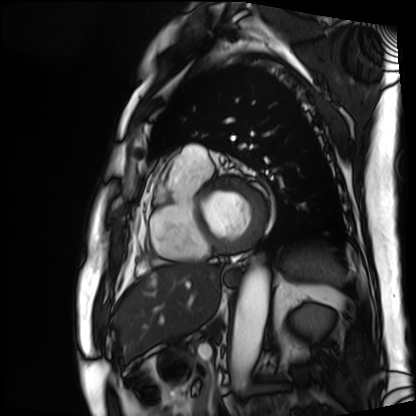
modality = cardiac MRI; subject group = patient.